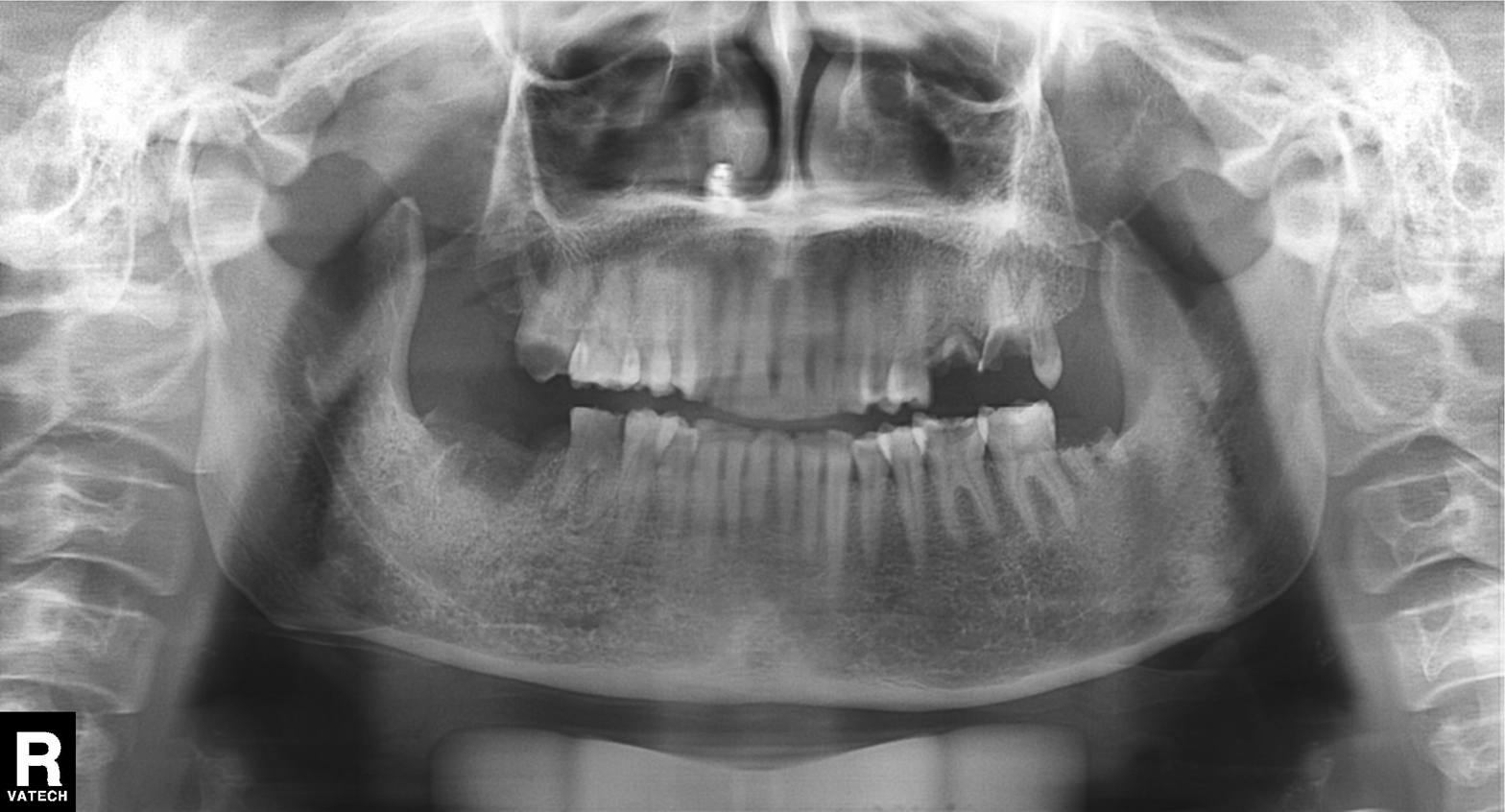
Panoramic dental radiograph (orthopantomogram).
Finding: alveolar bone loss.